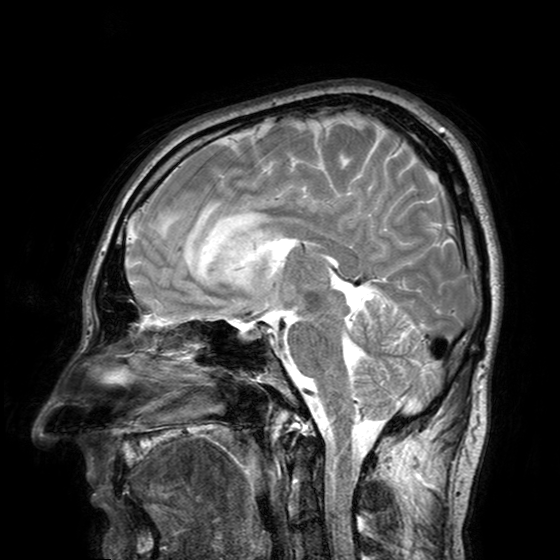
modality: 3 Tesla brain MRI | series: T2-weighted turbo spin echo with SENSE | study: ring-enhancing brain masses.